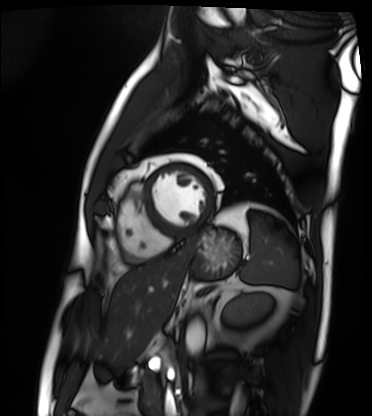
modality = cardiac MRI, subject group = patient.